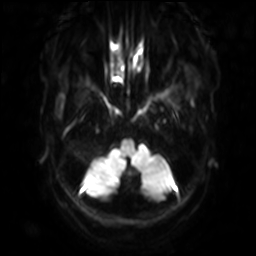
{
  "modality": {
    "type": "brain MRI",
    "field_strength": "3T"
  },
  "series": "diffusion-weighted imaging with SENSE (WIP)",
  "study_topic": "ring-enhancing brain masses"
}